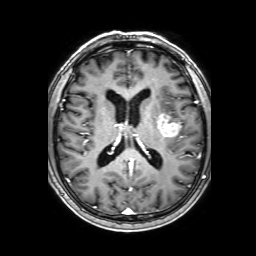
modality: 3 Tesla brain MRI; series: 3D T1-weighted with SENSE; study: ring-enhancing brain masses.